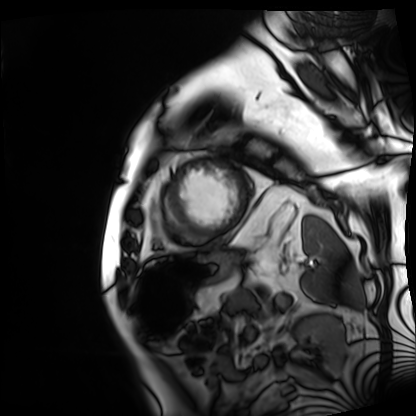
{
  "modality": "cardiac MRI",
  "cohort": "patient"
}